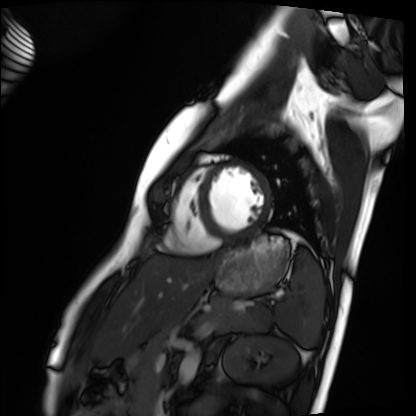
{"modality": "cardiac MRI", "cohort": "healthy volunteer"}